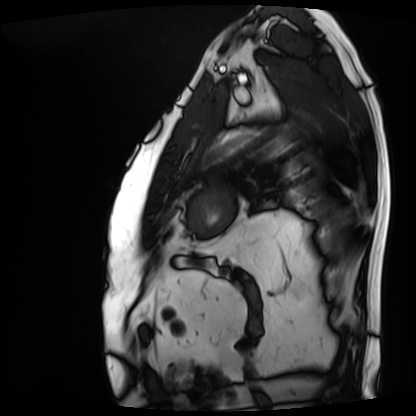
Cardiac MRI.
Subject group: patient.